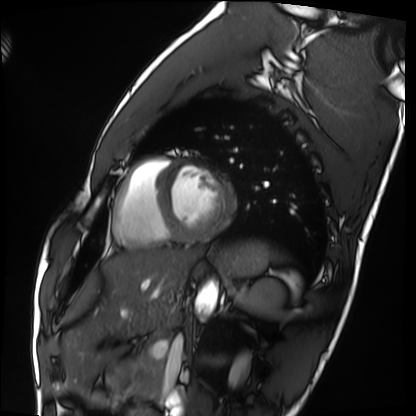
modality = cardiac MRI; subject group = healthy volunteer.